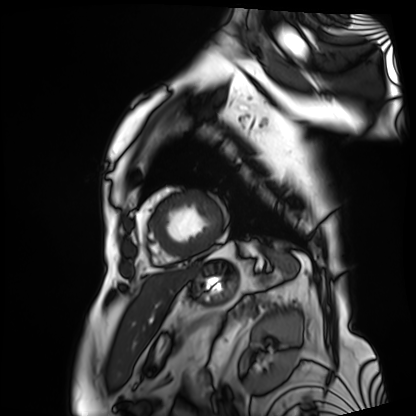
Cardiac MRI.
Subject group: patient.